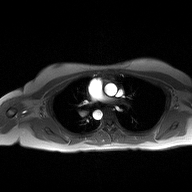
| field | value |
|---|---|
| modality | 2D phase-contrast cine MRI of the ascending aorta |